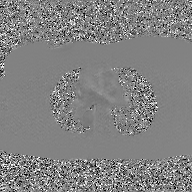
• modality — 2D phase-contrast cine MRI of the ascending aorta, GAN super-resolution reconstruction